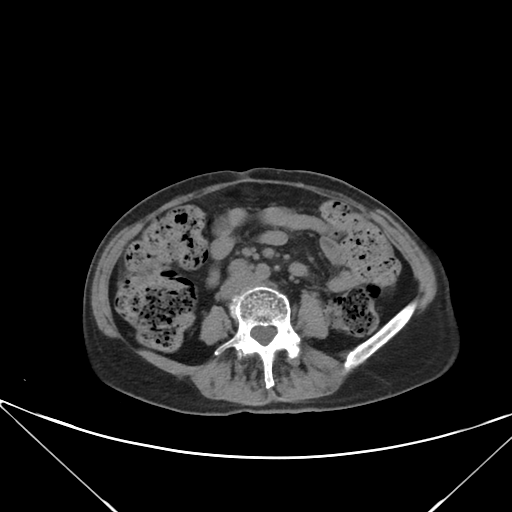
modality — multiphase abdominal CT, liver, non-contrast phase; patient — female, age 63; history — prior chemotherapy.